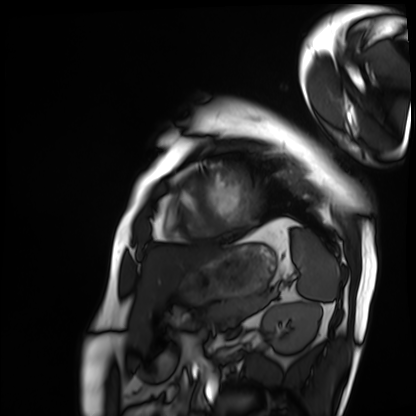
Cardiac MRI. Subject group: patient.